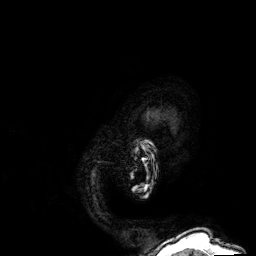
{
  "modality": {
    "type": "brain MRI",
    "field_strength": "3T"
  },
  "series": "3D T1-weighted",
  "study_topic": "ring-enhancing brain masses"
}